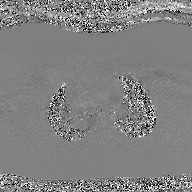
{"modality": {"type": "2D phase-contrast cine MRI", "region": "ascending aorta", "reconstruction": "GAN super-resolution reconstruction"}}